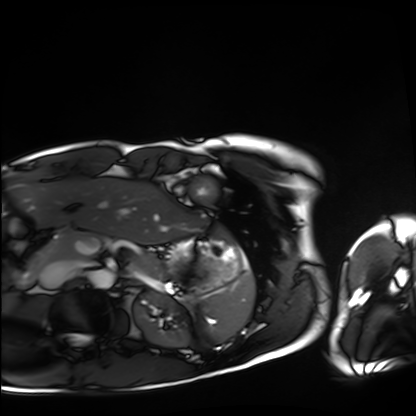
Q: What kind of scan is this?
A: Cardiac MRI.
Subject group: healthy volunteer.